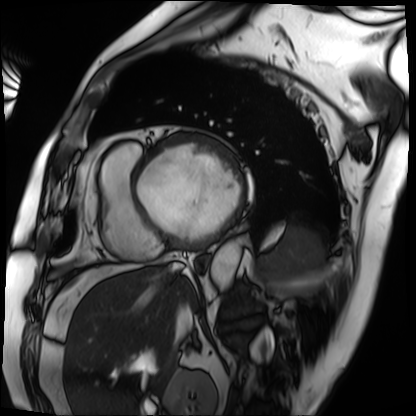
modality: cardiac MRI | subject group: patient.